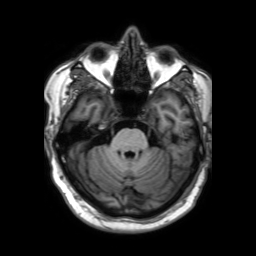
{
  "modality": {
    "type": "brain MRI",
    "field_strength": "3T"
  },
  "study_topic": "ring-enhancing brain masses"
}